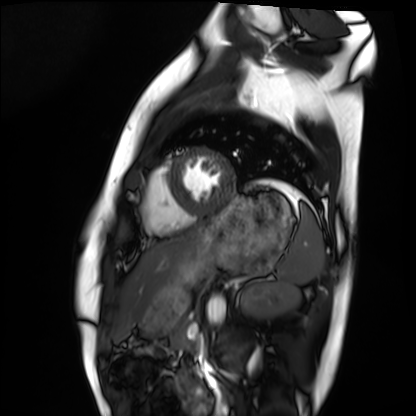
Case summary:
Cardiac MRI. Subject group: healthy volunteer.